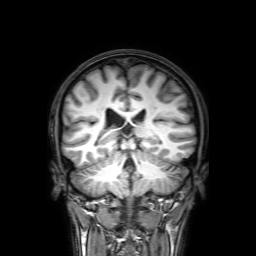
3 Tesla brain MRI.
Series: 3D T1-weighted with SENSE.
Study: ring-enhancing brain masses.